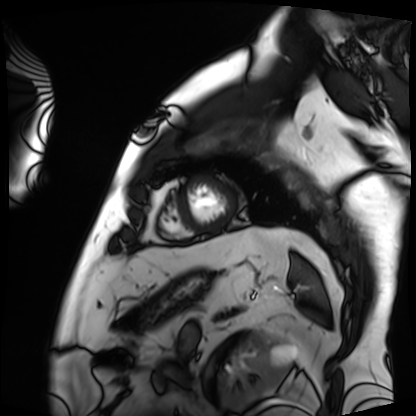
Clinical context: Cardiac MRI. Subject group: patient.